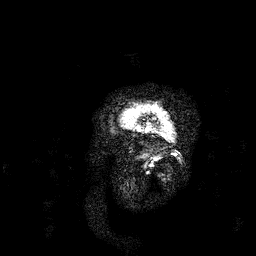
{"modality": {"type": "brain MRI", "field_strength": "3T"}, "study_topic": "ring-enhancing brain masses"}